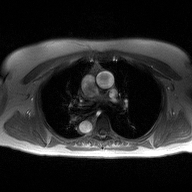
2D phase-contrast cine MRI of the ascending aorta, high-resolution GRAPPA acquisition.